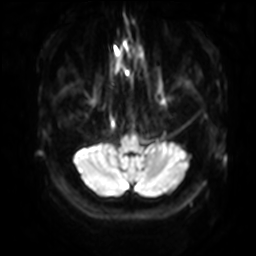
3 Tesla brain MRI. Series: diffusion-weighted imaging with SENSE (WIP). Study: ring-enhancing brain masses.